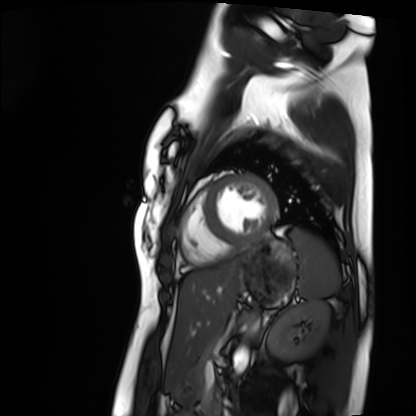
– modality: cardiac MRI
– subject group: healthy volunteer